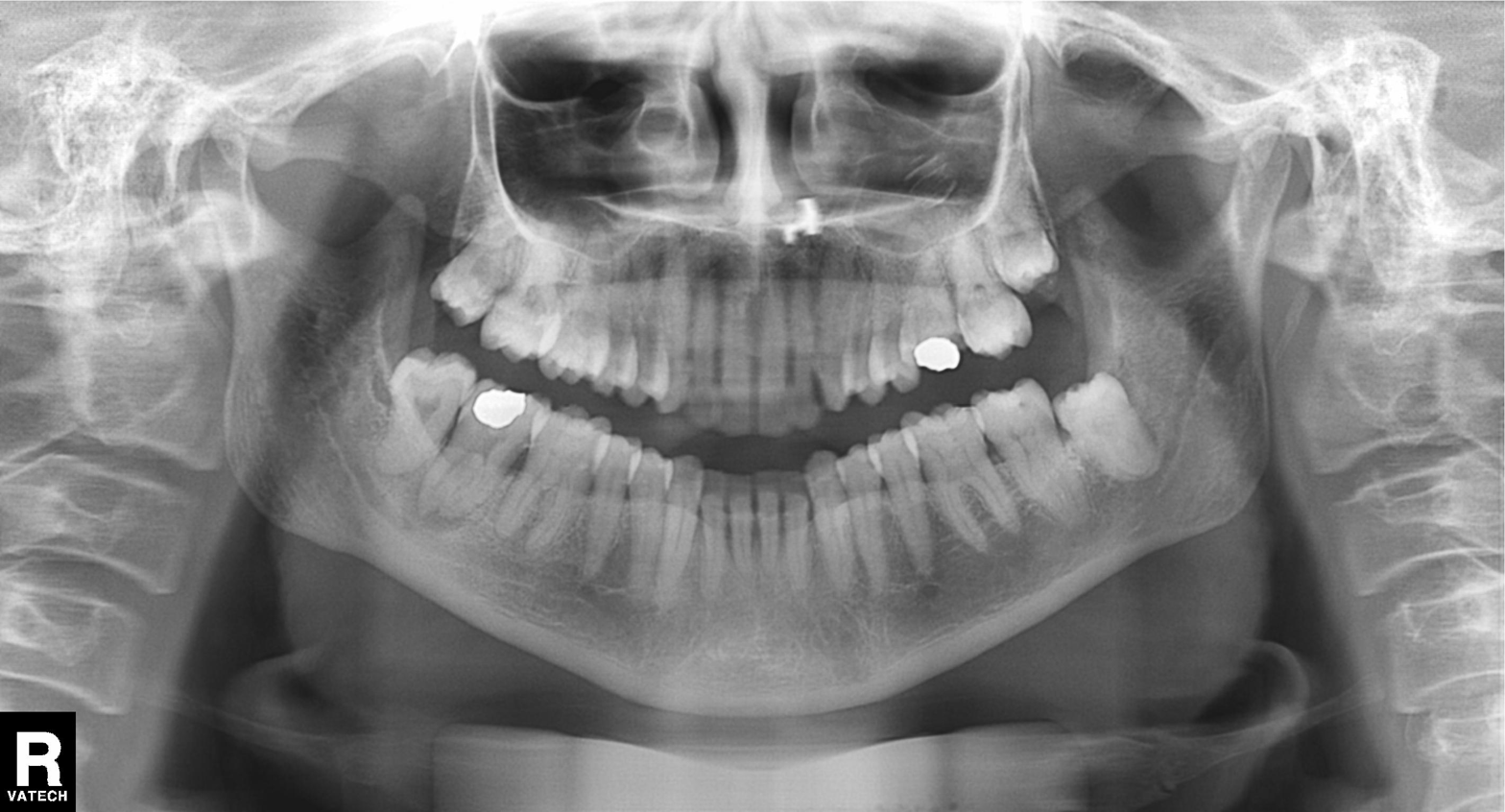
Q: What kind of scan is this?
A: Panoramic dental radiograph (orthopantomogram).
Q: What is the radiographic finding?
A: Dental caries (cavities).